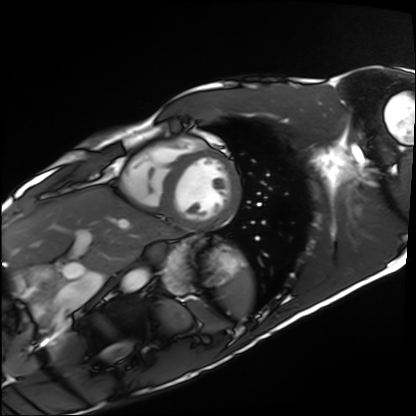
Cardiac MRI. Subject group: healthy volunteer.